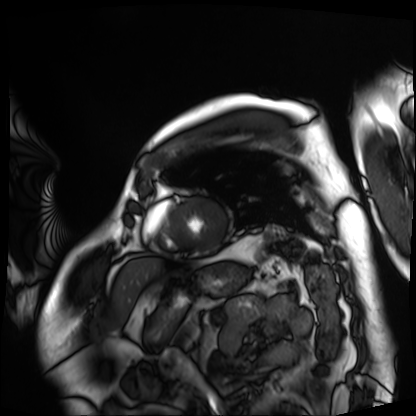
  modality: cardiac MRI
  cohort: patient